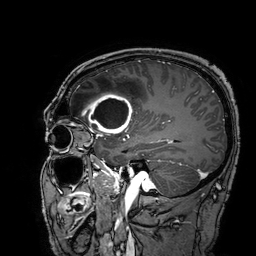
modality — 3 Tesla brain MRI | series — 3D T1-weighted turbo field echo with SENSE | study — ring-enhancing brain masses.